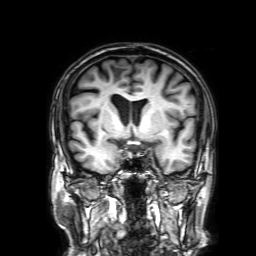
3 Tesla brain MRI. Series: 3D T1-weighted with SENSE. Study: ring-enhancing brain masses.